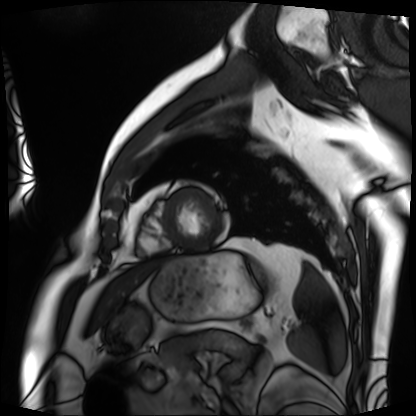
Summary:
Cardiac MRI. Subject group: patient.